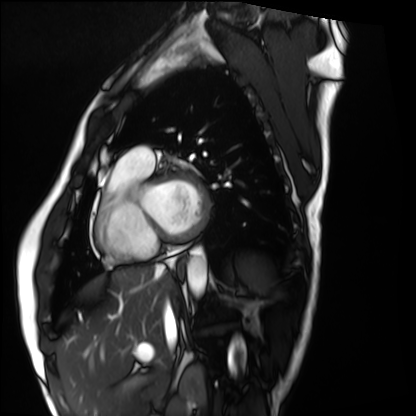
* modality: cardiac MRI
* subject group: healthy volunteer